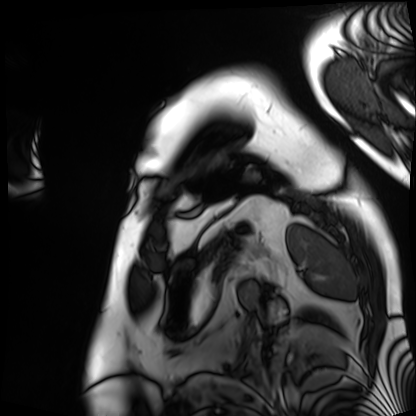
<study>
  <modality>cardiac MRI</modality>
  <cohort>patient</cohort>
</study>